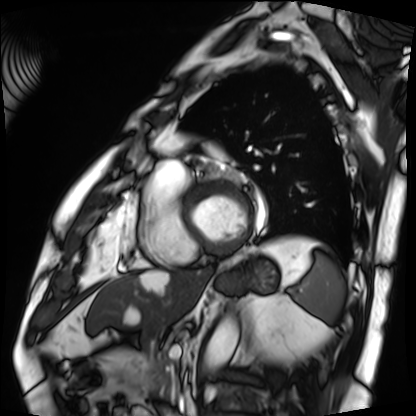
• modality — cardiac MRI
• subject group — patient